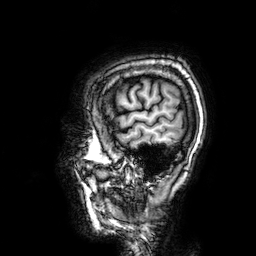
* modality · 3 Tesla brain MRI
* series · 3D T1-weighted
* study · ring-enhancing brain masses